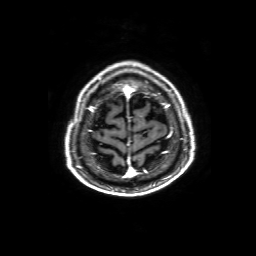
3 Tesla brain MRI. Series: 3D T1-weighted with SENSE. Study: ring-enhancing brain masses.